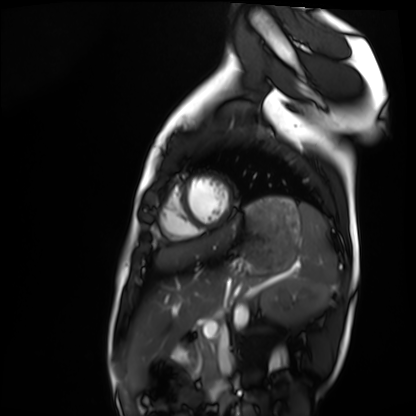
Summary:
Cardiac MRI. Subject group: healthy volunteer.